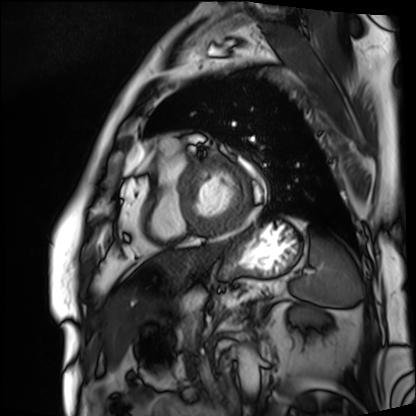
Cardiac MRI. Subject group: patient.